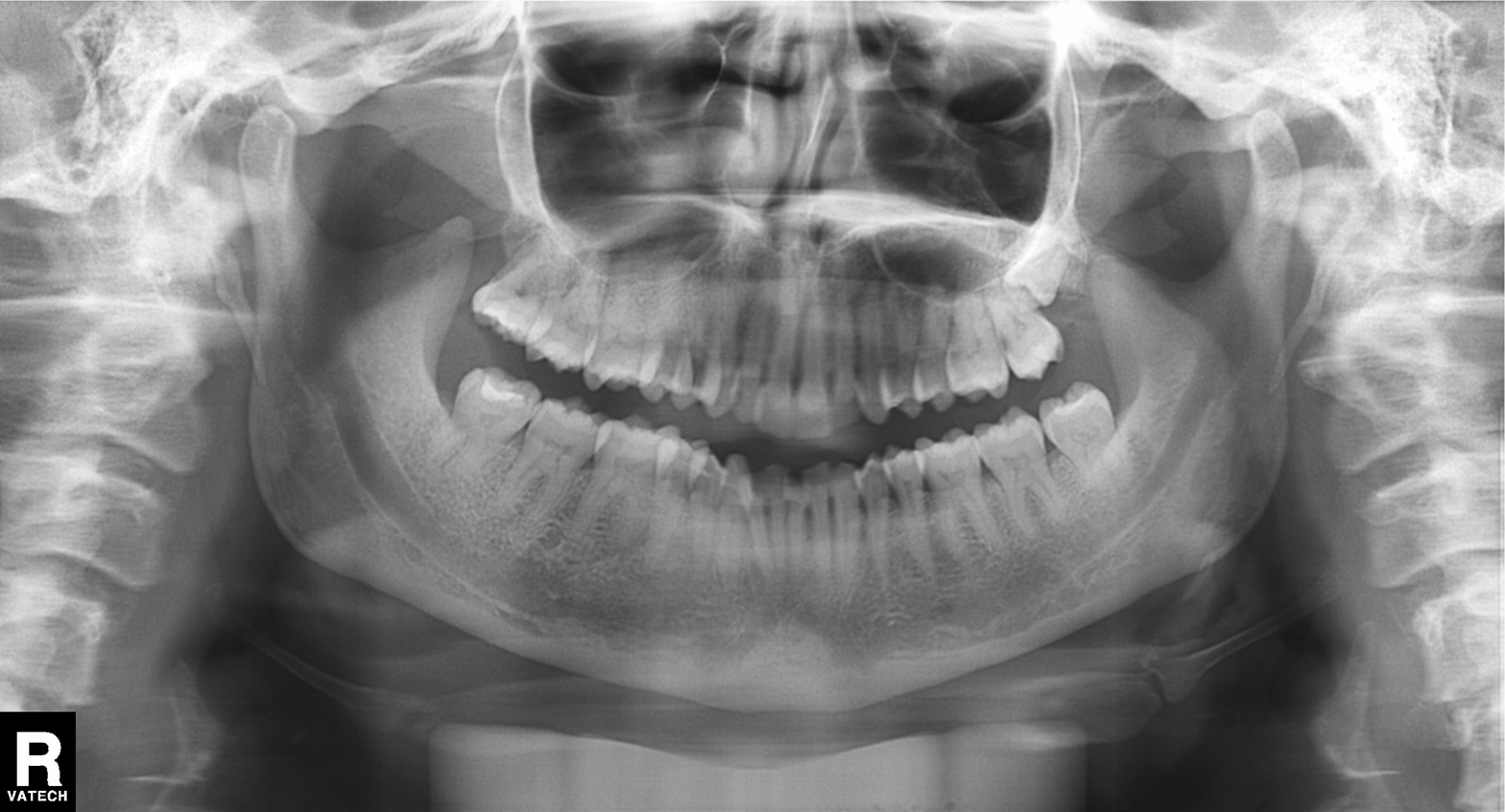
* modality — panoramic dental radiograph (orthopantomogram)
* finding — tooth impaction